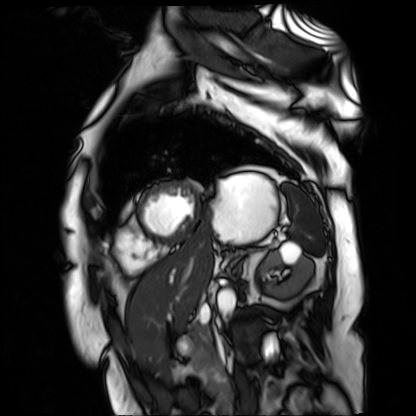
Cardiac MR image of the myocardium. Subject cohort: cardiac patient.